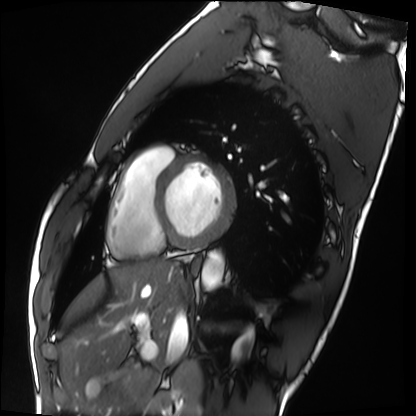
{
  "modality": "cardiac MRI",
  "cohort": "healthy volunteer"
}